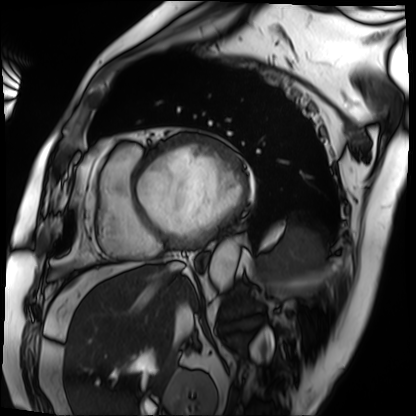
Case summary:
Cardiac MRI. Subject group: patient.